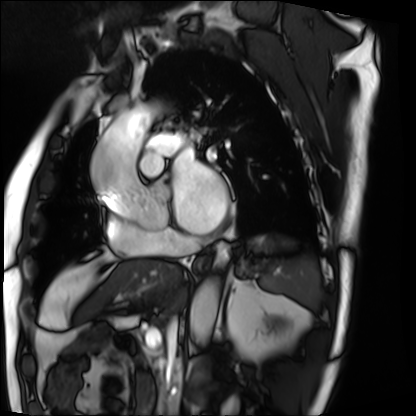
Cardiac MRI. Subject group: patient.